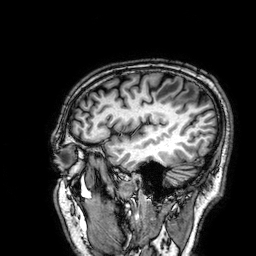
modality:
  type: brain MRI
  field_strength: 3T
series: 3D T1-weighted
study_topic: ring-enhancing brain masses